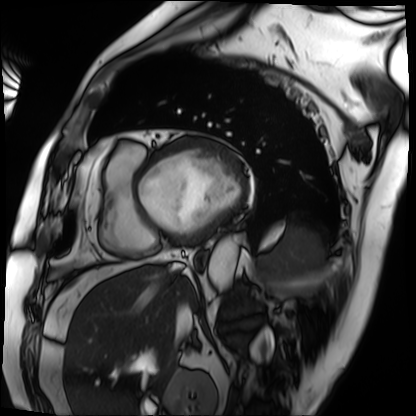
modality = cardiac MRI
subject group = patient